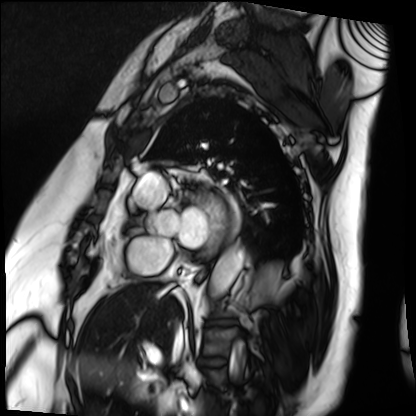
Cardiac MRI. Subject group: patient.